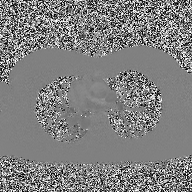
Case:
• modality — 2D phase-contrast cine MRI of the ascending aorta